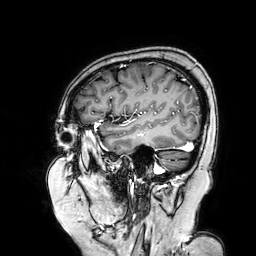
<record>
<modality>
  <type>brain MRI</type>
  <field_strength>3T</field_strength>
</modality>
<series>3D T1-weighted turbo field echo with SENSE</series>
<study_topic>ring-enhancing brain masses</study_topic>
</record>